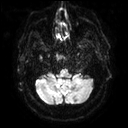
• modality · 3 Tesla brain MRI
• series · diffusion tensor imaging (medium iso)
• study · ring-enhancing brain masses